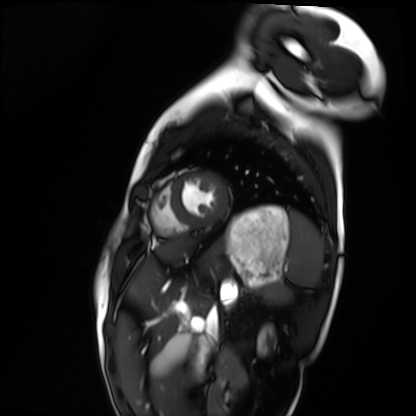
{"modality": "cardiac MRI", "cohort": "healthy volunteer"}